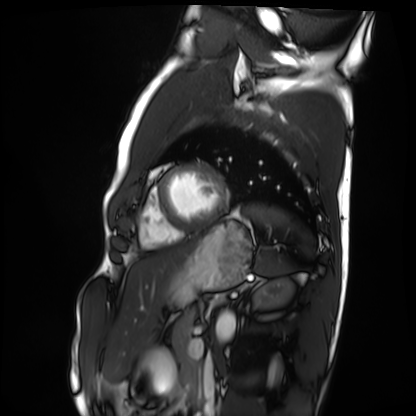
Cardiac MRI. Subject group: healthy volunteer.